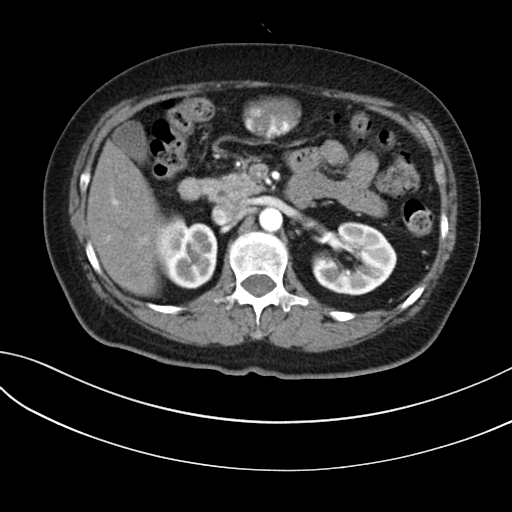
Clinical context: Multiphase abdominal CT, liver, arterial phase. Patient: female, age 59.